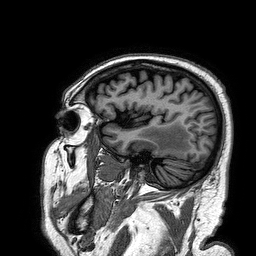
3 Tesla brain MRI. Series: 3D T1-weighted turbo field echo. Study: ring-enhancing brain masses.